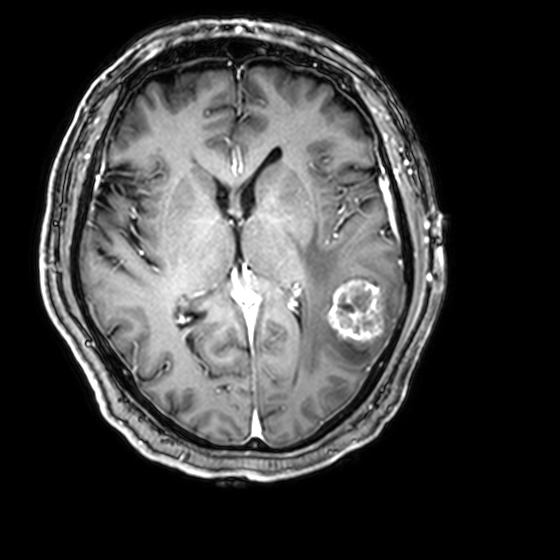
  modality:
    type: brain MRI
    field_strength: 3T
  series: 3D T1-weighted with CLEAR
  study_topic: ring-enhancing brain masses